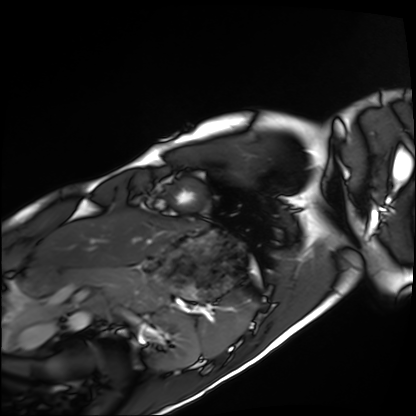
Case:
- modality — cardiac MRI
- subject group — healthy volunteer